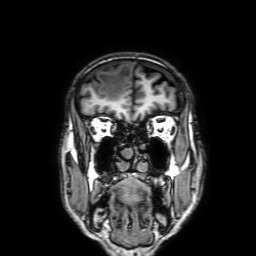
Case summary: 3 Tesla brain MRI. Series: 3D T1-weighted with SENSE. Study: ring-enhancing brain masses.